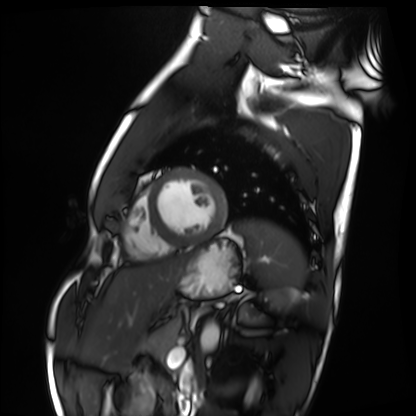
{"modality": "cardiac MRI", "cohort": "healthy volunteer"}